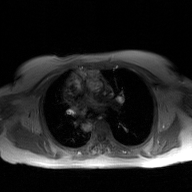
2D phase-contrast cine MRI of the ascending aorta, GAN super-resolution reconstruction.